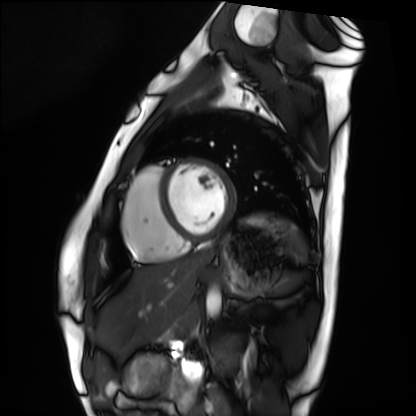
Summary:
Cardiac MRI. Subject group: healthy volunteer.